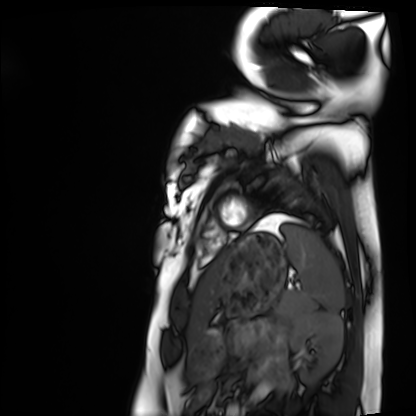
Cardiac MRI. Subject group: healthy volunteer.